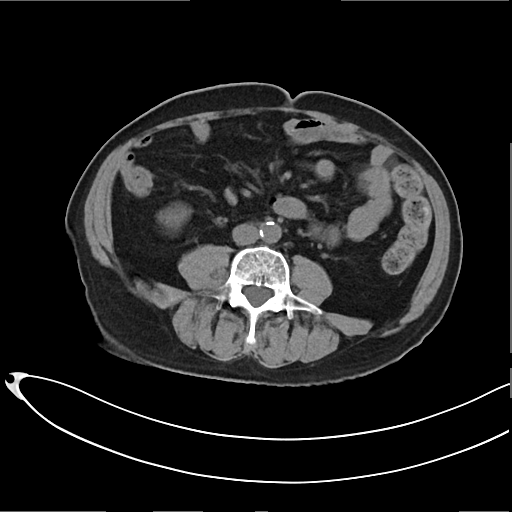
modality: multiphase abdominal CT, liver, non-contrast phase
patient: male, age 66